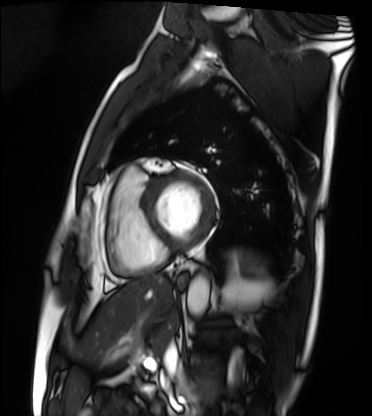
modality: cardiac MRI; subject group: patient.